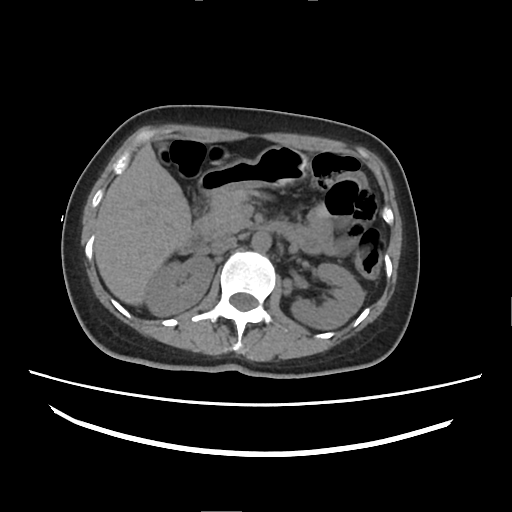
Case summary:
Multiphase abdominal CT, liver, non-contrast phase. Patient: female, age 38.